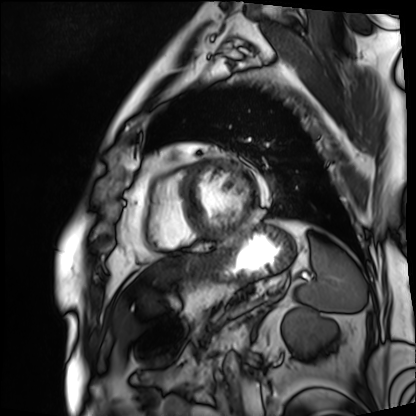
Cardiac MRI.
Subject group: patient.